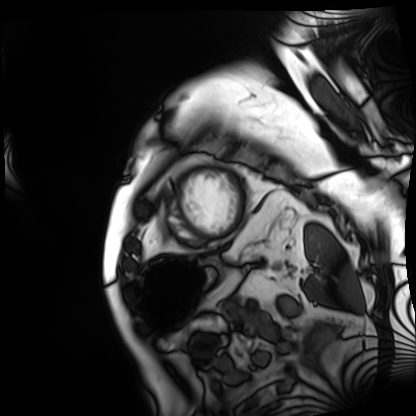
modality = cardiac MRI
subject group = patient